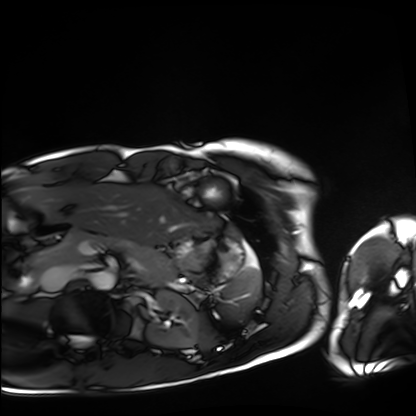
| field | value |
|---|---|
| modality | cardiac MRI |
| subject group | healthy volunteer |